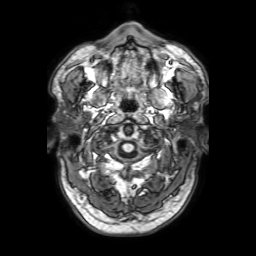
Summary:
3 Tesla brain MRI. Series: 3D T1-weighted with SENSE. Study: ring-enhancing brain masses.